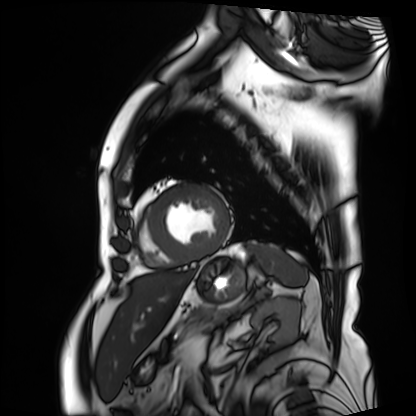
Summary: Cardiac MRI. Subject group: patient.